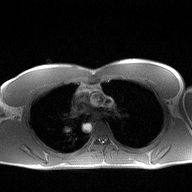
Summary:
2D phase-contrast cine MRI of the ascending aorta, high-resolution GRAPPA acquisition.